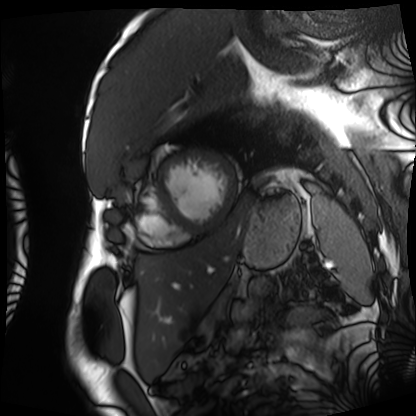
* modality: cardiac MRI
* subject group: patient